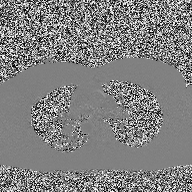
modality — 2D phase-contrast cine MRI of the ascending aorta.